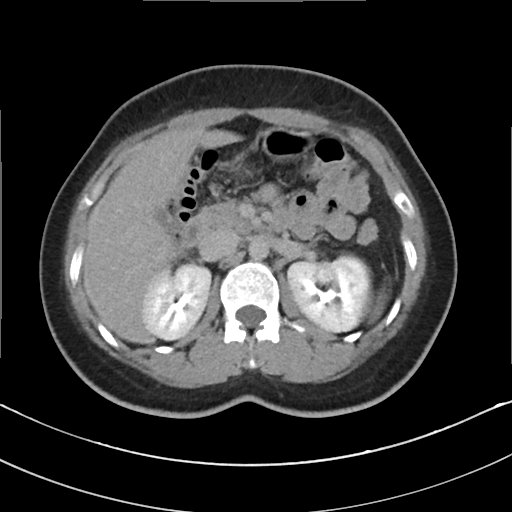
modality:
  type: multiphase abdominal CT
  region: liver
  phase: delayed